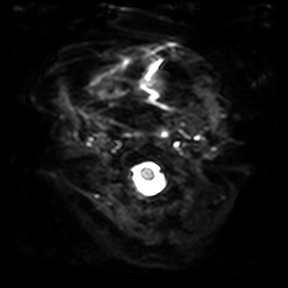
Clinical context: 3 Tesla brain MRI. Series: diffusion-weighted imaging. Study: ring-enhancing brain masses.